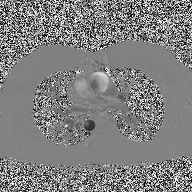
  modality:
    type: 2D phase-contrast cine MRI
    region: ascending aorta
    reconstruction: high-resolution GRAPPA acquisition